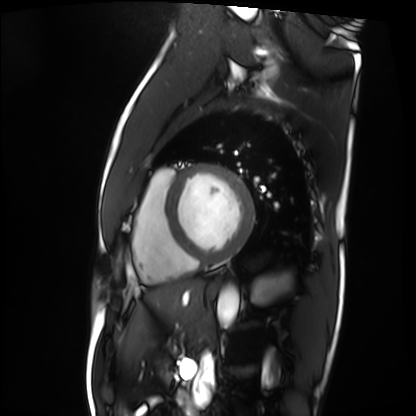
Q: What kind of scan is this?
A: Cardiac MRI.
Subject group: patient.